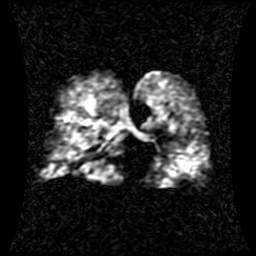
modality=hyperpolarized 129Xe ventilation MRI of the lungs
SNR level=1 of 8 (the deposit holds this scan as its native image and as seven SNR-degraded versions)